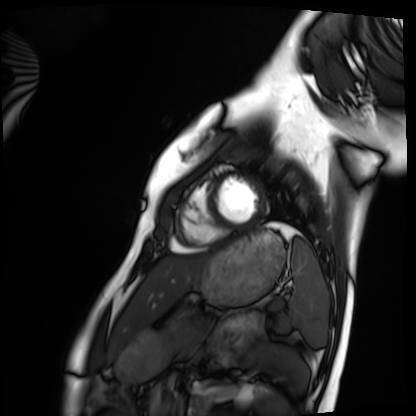
Cardiac MRI.
Subject group: healthy volunteer.